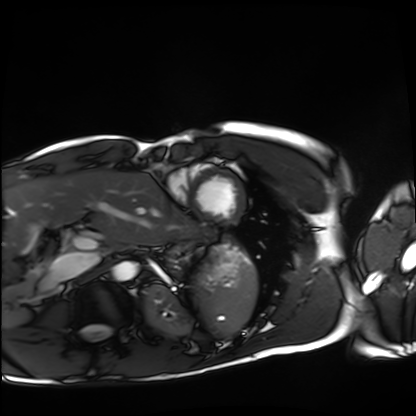
Q: What kind of scan is this?
A: Cardiac MRI.
Subject group: healthy volunteer.